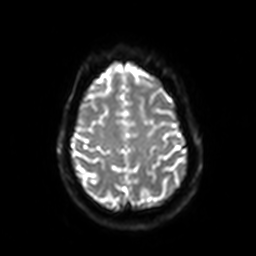
Q: What kind of scan is this?
A: 3 Tesla brain MRI.
Q: Series?
A: Diffusion-weighted imaging with SENSE (WIP).
Study: ring-enhancing brain masses.